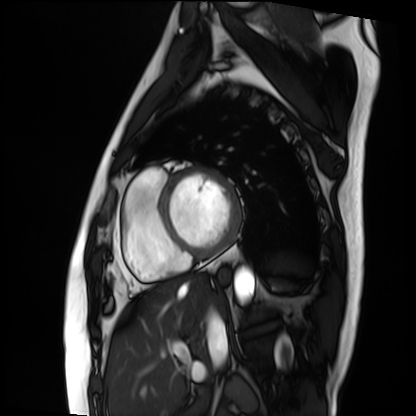
Cardiac MRI. Subject group: patient.